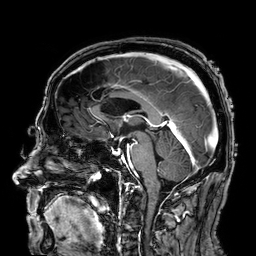
3 Tesla brain MRI. Study: ring-enhancing brain masses.